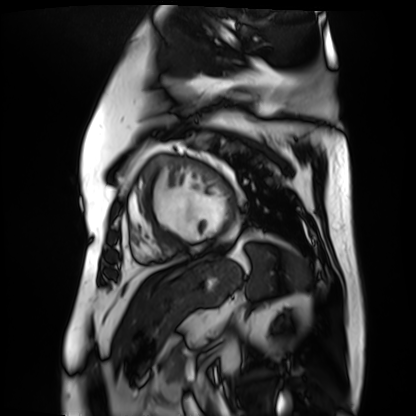
Case:
– modality: cardiac MR image of the myocardium
– subject cohort: cardiac patient